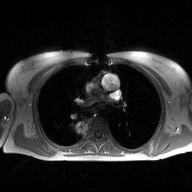
Summary: 2D phase-contrast cine MRI of the ascending aorta, high-resolution GRAPPA acquisition.